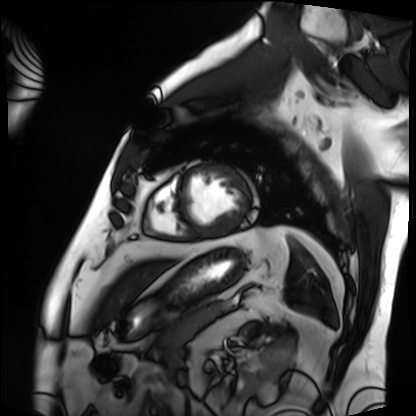
modality: cardiac MRI, subject group: patient.